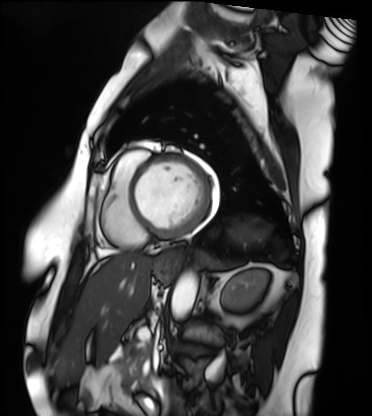
Q: What kind of scan is this?
A: Cardiac MRI.
Subject group: patient.